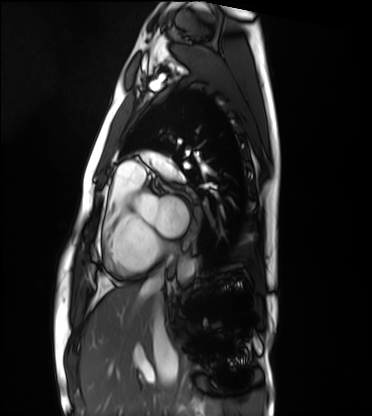
modality = cardiac MRI, subject group = healthy volunteer.